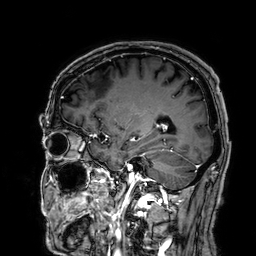
3 Tesla brain MRI. Study: ring-enhancing brain masses.